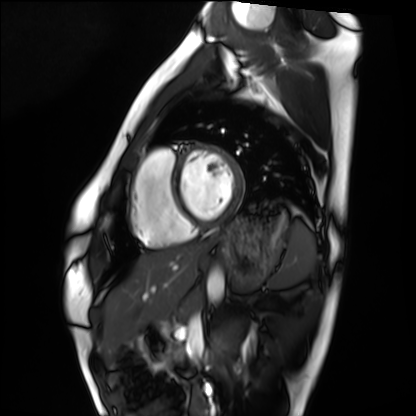
Summary:
Cardiac MRI. Subject group: healthy volunteer.